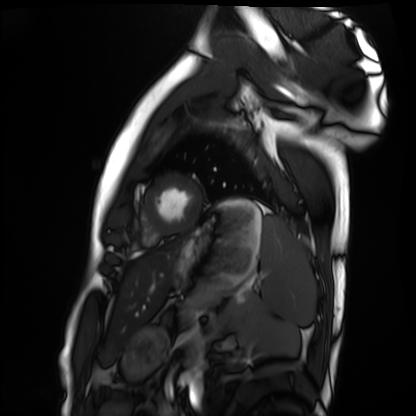
<study>
  <modality>cardiac MRI</modality>
  <cohort>healthy volunteer</cohort>
</study>